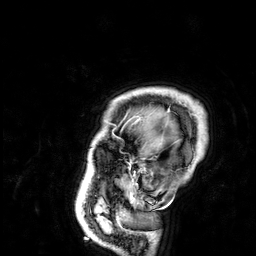
Clinical context:
3 Tesla brain MRI. Series: 3D T1-weighted. Study: ring-enhancing brain masses.